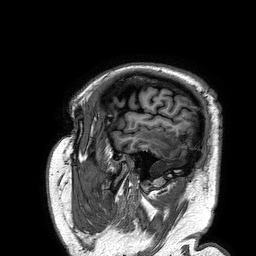
3 Tesla brain MRI. Series: 3D T1-weighted turbo field echo. Study: ring-enhancing brain masses.